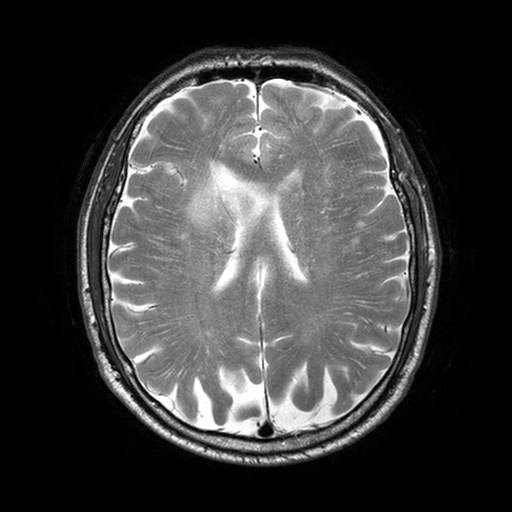
– modality — 3 Tesla brain MRI
– series — T2-weighted turbo spin echo with SENSE
– study — ring-enhancing brain masses